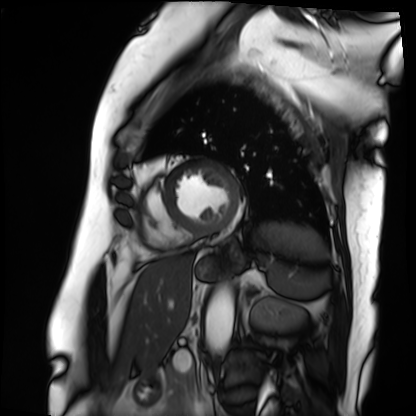
Cardiac MRI. Subject group: patient.